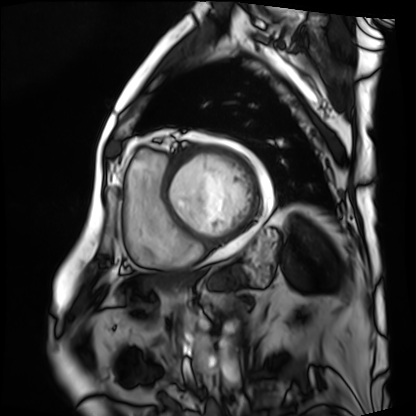
Summary:
Cardiac MRI. Subject group: patient.